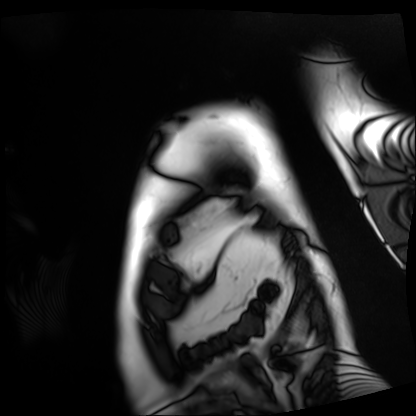
Cardiac MRI. Subject group: patient.